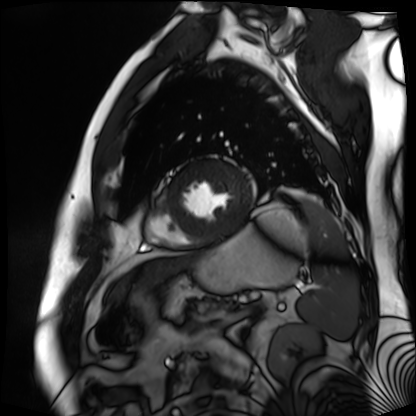
Cardiac MR image of the myocardium.
Subject cohort: cardiac patient.